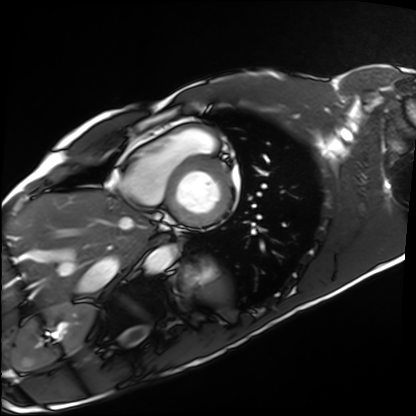
Clinical context:
Cardiac MRI. Subject group: healthy volunteer.